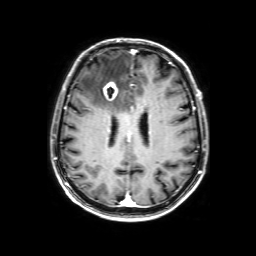
– modality · 3 Tesla brain MRI
– series · 3D T1-weighted with SENSE
– study · ring-enhancing brain masses